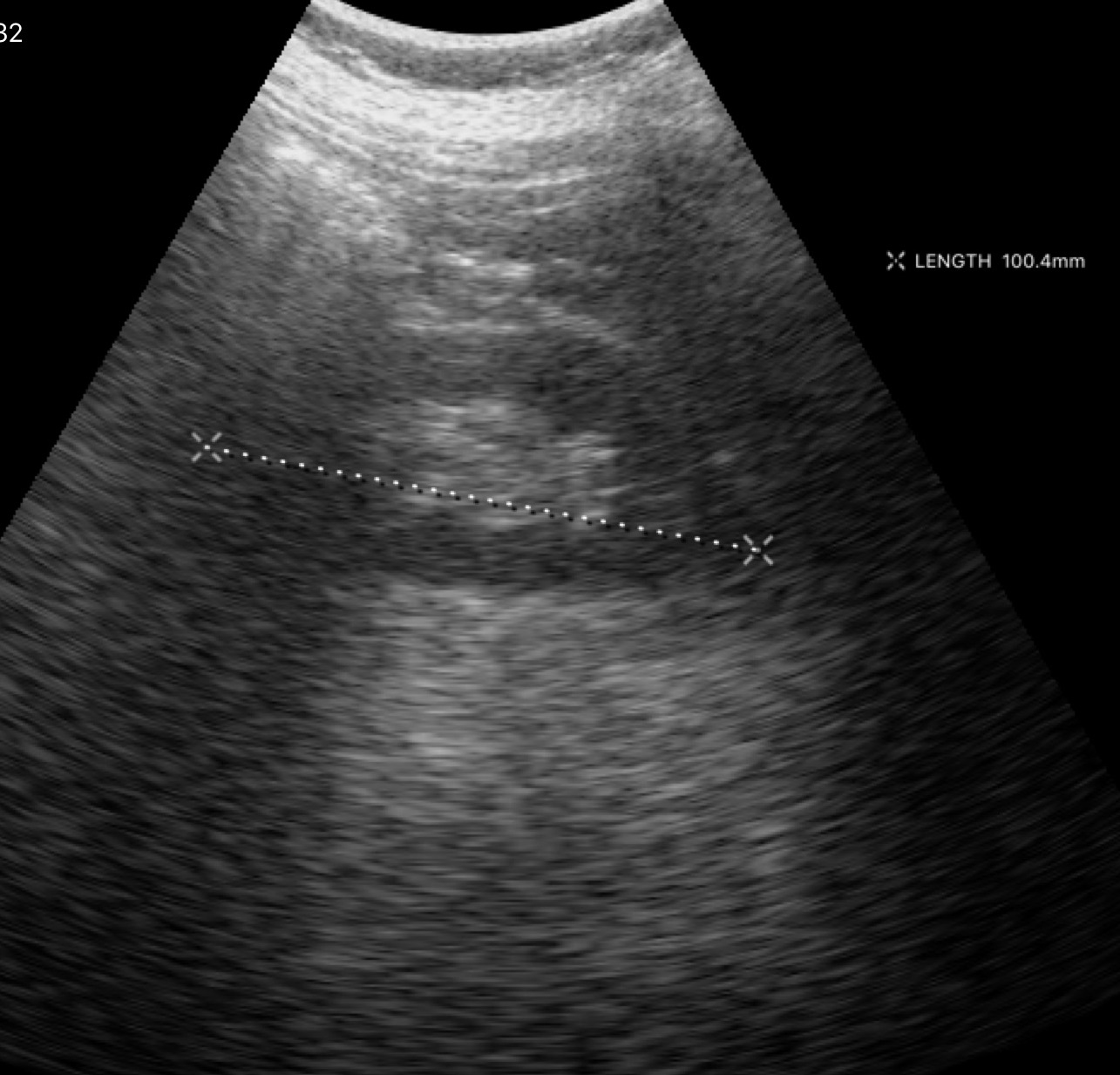
Case:
– modality: genitourinary ultrasound